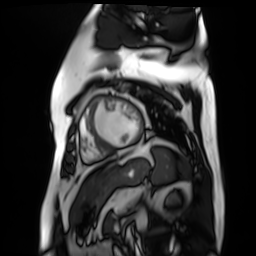
Q: What kind of scan is this?
A: Cardiac MR image of the myocardium.
Subject cohort: cardiac patient.